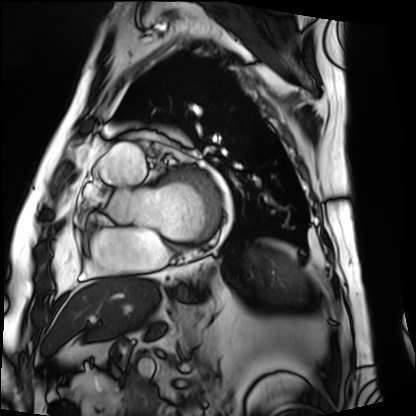
Case summary: Cardiac MRI. Subject group: patient.